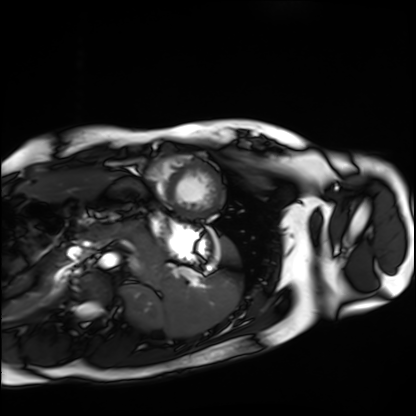
Cardiac MRI. Subject group: healthy volunteer.